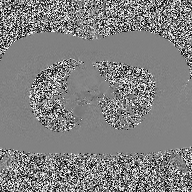
<case>
  <modality>
    <type>2D phase-contrast cine MRI</type>
    <region>ascending aorta</region>
    <reconstruction>high-resolution GRAPPA acquisition</reconstruction>
  </modality>
</case>